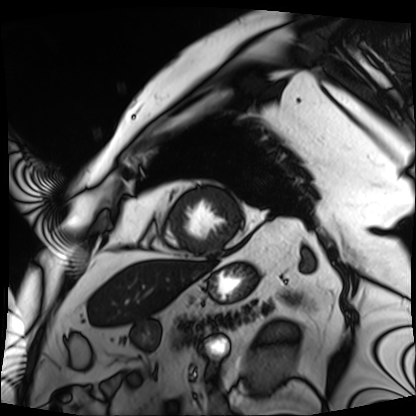
* modality: cardiac MRI
* subject group: patient